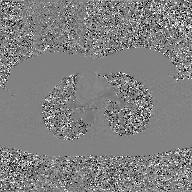
<study>
  <modality>
    <type>2D phase-contrast cine MRI</type>
    <region>ascending aorta</region>
    <reconstruction>GAN super-resolution reconstruction</reconstruction>
  </modality>
</study>